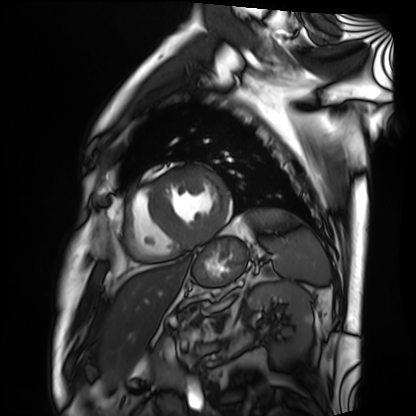
• modality: cardiac MRI
• subject group: patient